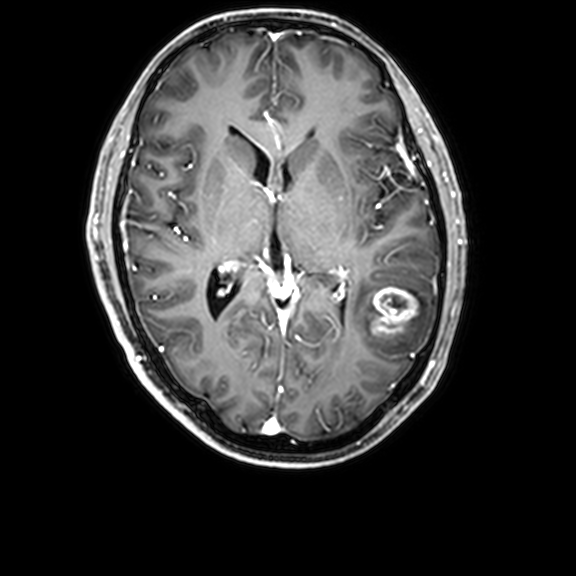
modality: 3 Tesla brain MRI | series: 3D T1-weighted with CLEAR | study: ring-enhancing brain masses.